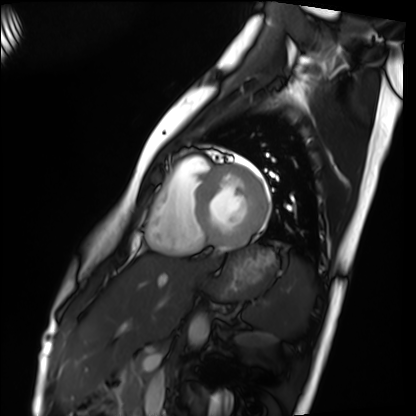
modality = cardiac MRI, subject group = healthy volunteer.